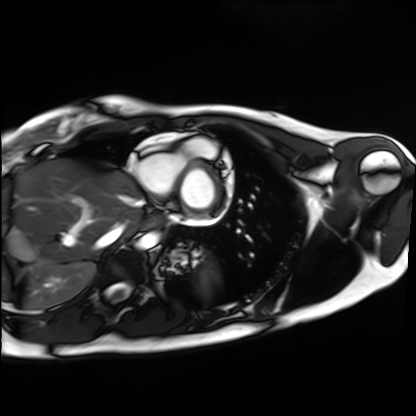
Cardiac MRI.
Subject group: healthy volunteer.